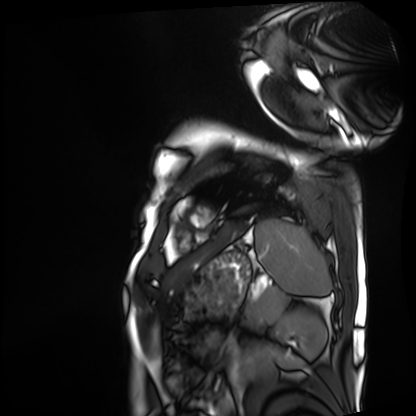
Case:
* modality · cardiac MRI
* subject group · patient